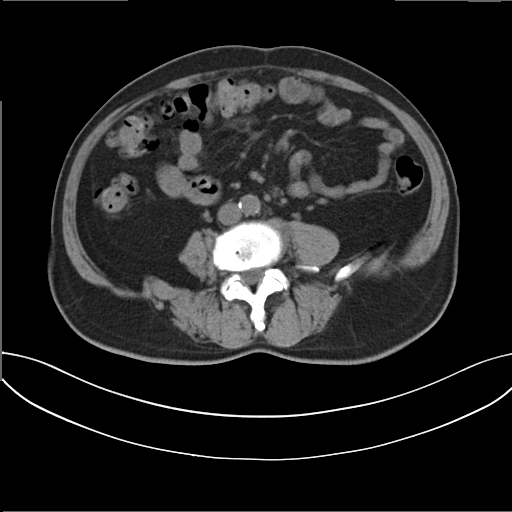
  modality:
    type: multiphase abdominal CT
    region: liver
    phase: non-contrast
  patient:
    sex: male
    age: 62
  history:
    - prior chemotherapy